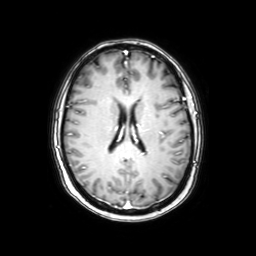
3 Tesla brain MRI. Series: axial with contrast. Study: ring-enhancing brain masses.